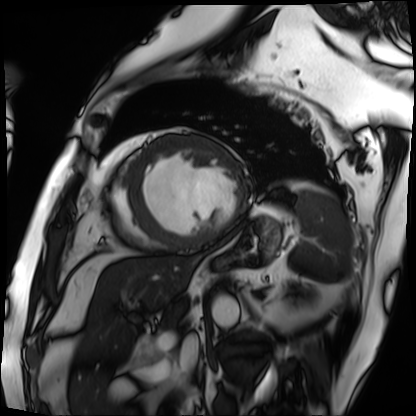
Case summary: Cardiac MRI. Subject group: patient.